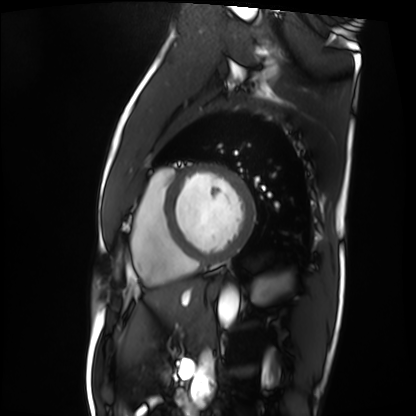
Summary: Cardiac MRI. Subject group: patient.